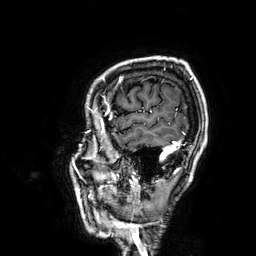
3 Tesla brain MRI. Study: ring-enhancing brain masses.